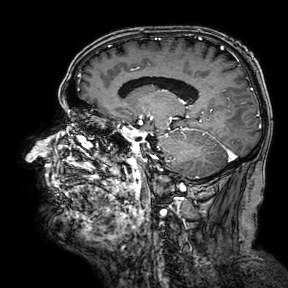
3 Tesla brain MRI.
Series: 3D T1-weighted turbo field echo with SENSE.
Study: ring-enhancing brain masses.